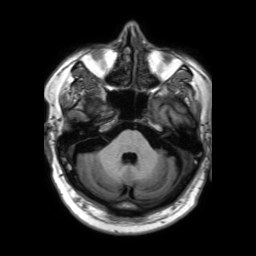
Clinical context:
3 Tesla brain MRI. Series: 3D T1-weighted TFE with SENSE. Study: ring-enhancing brain masses.